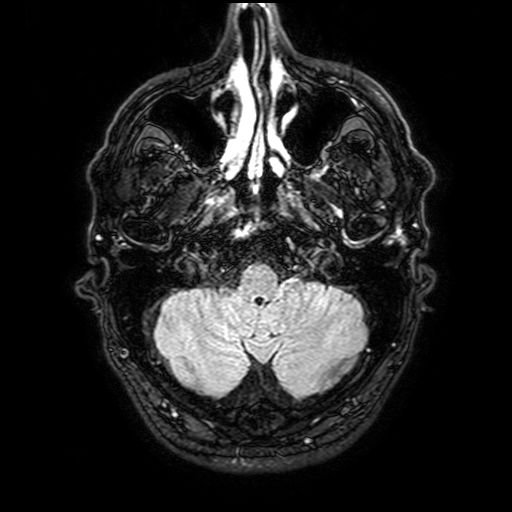
| field | value |
|---|---|
| modality | 3 Tesla brain MRI |
| series | FLAIR with SPAIR, 3 mm |
| study | ring-enhancing brain masses |